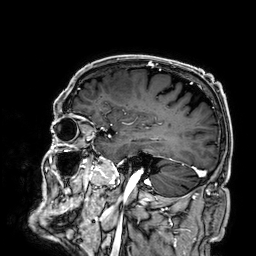
3 Tesla brain MRI.
Series: 3D T1-weighted.
Study: ring-enhancing brain masses.